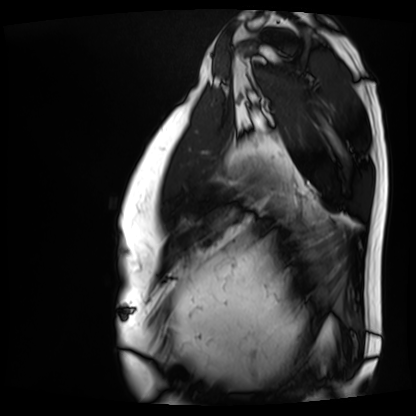
{
  "modality": "cardiac MRI",
  "cohort": "patient"
}